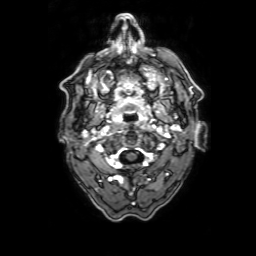
modality: 3 Tesla brain MRI; series: 3D T1-weighted with SENSE; study: ring-enhancing brain masses.